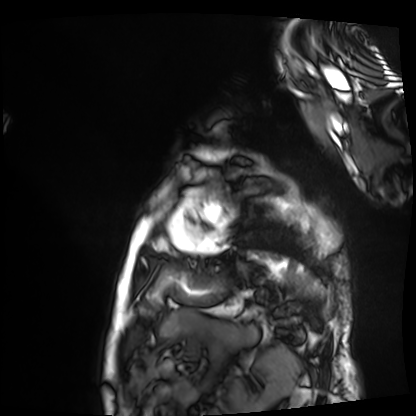
Cardiac MRI.
Subject group: patient.